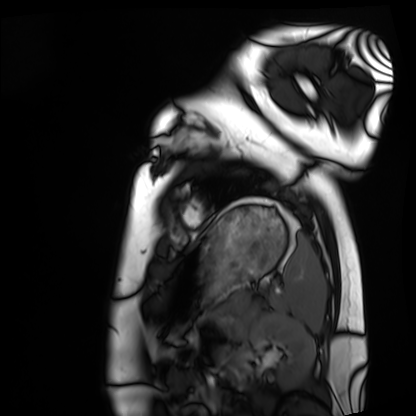
Case summary: Cardiac MRI. Subject group: healthy volunteer.